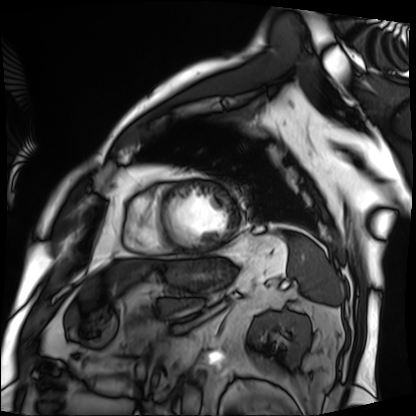
Case summary: Cardiac MRI. Subject group: patient.